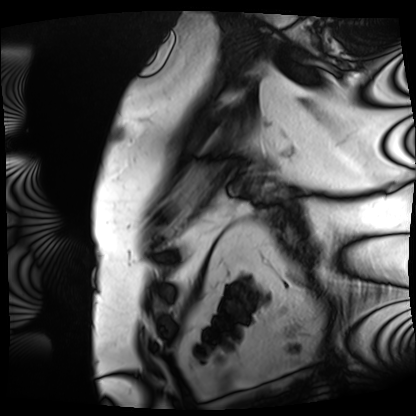
Summary:
Cardiac MRI. Subject group: patient.